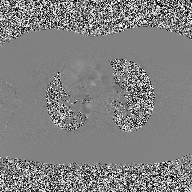
2D phase-contrast cine MRI of the ascending aorta, high-resolution GRAPPA acquisition.